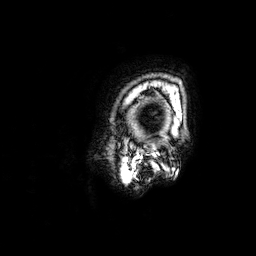
• modality: 3 Tesla brain MRI
• series: 3D T1-weighted
• study: ring-enhancing brain masses